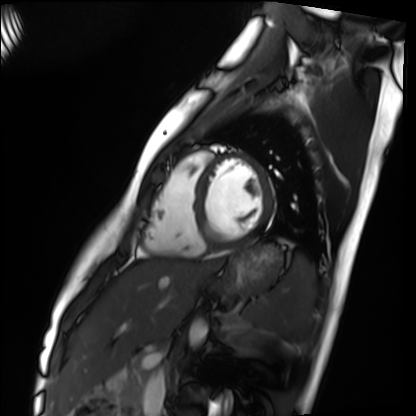
Cardiac MRI.
Subject group: healthy volunteer.